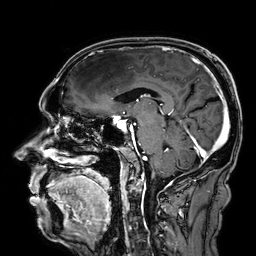
3 Tesla brain MRI. Study: ring-enhancing brain masses.